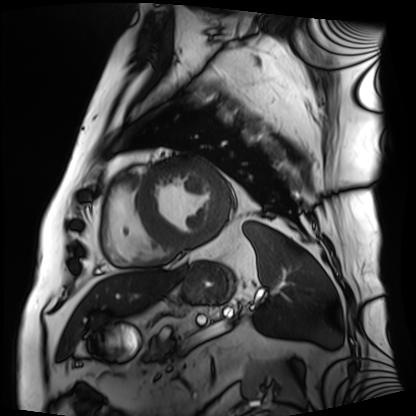
Q: What kind of scan is this?
A: Cardiac MRI.
Subject group: patient.